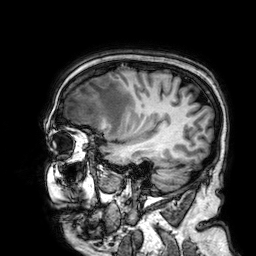
Summary:
3 Tesla brain MRI. Series: 3D T1-weighted. Study: ring-enhancing brain masses.